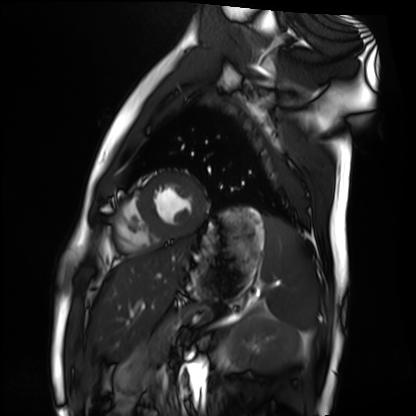
Cardiac MRI.
Subject group: healthy volunteer.